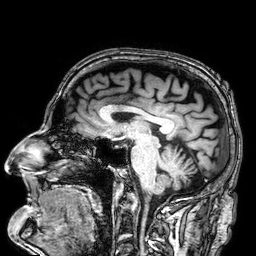
Clinical context: 3 Tesla brain MRI. Series: 3D T1-weighted. Study: ring-enhancing brain masses.